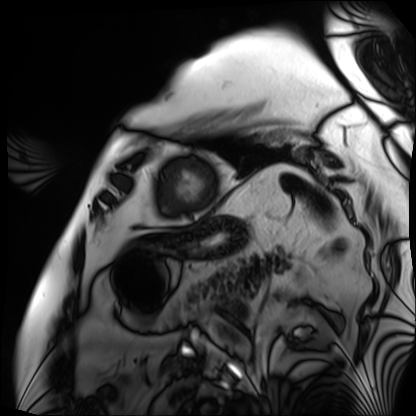
Cardiac MRI.
Subject group: patient.